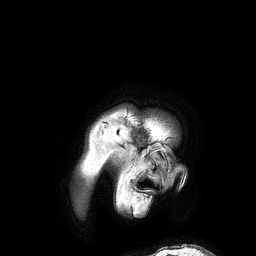
modality — 3 Tesla brain MRI | series — 3D T1-weighted turbo field echo | study — ring-enhancing brain masses.